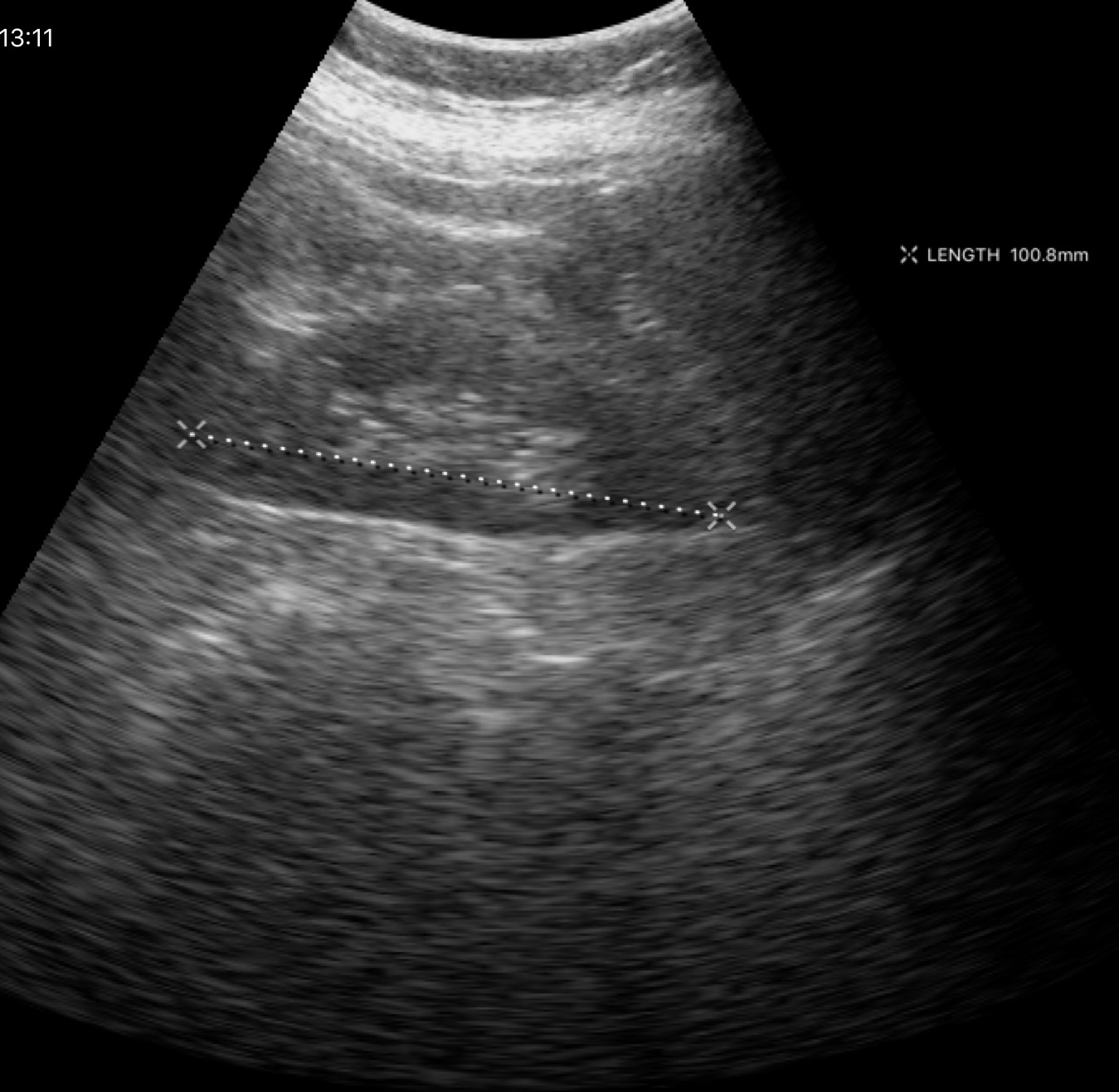
modality: genitourinary ultrasound.